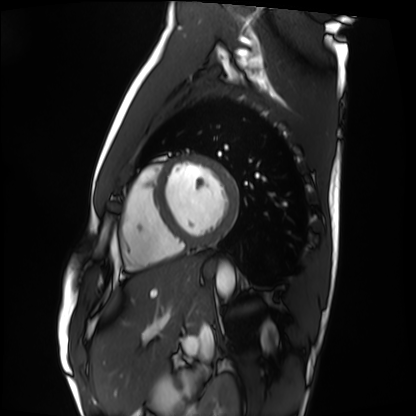
Cardiac MRI. Subject group: healthy volunteer.